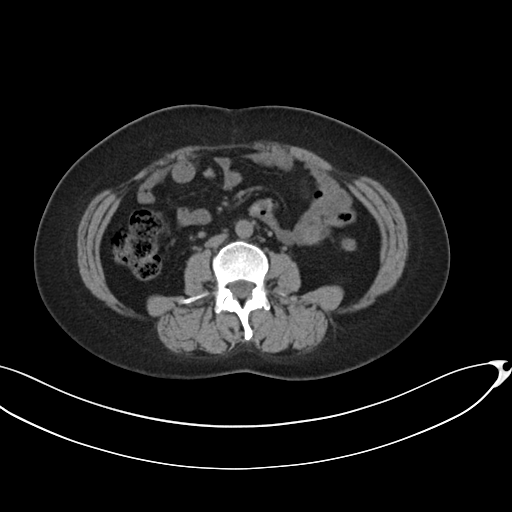
Multiphase abdominal CT, liver, non-contrast phase. Patient: female, age 42. History: prior chemotherapy.